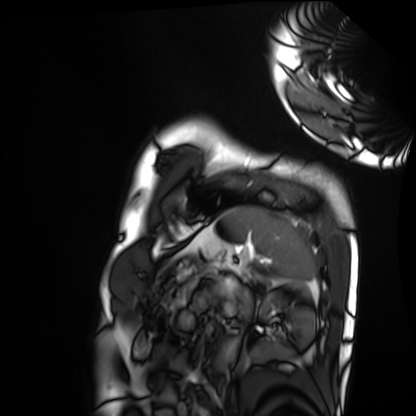
Cardiac MRI. Subject group: healthy volunteer.